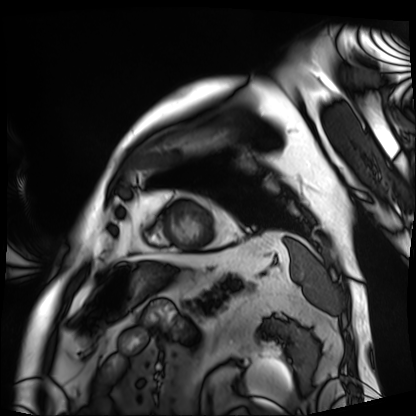
Q: What kind of scan is this?
A: Cardiac MRI.
Subject group: patient.